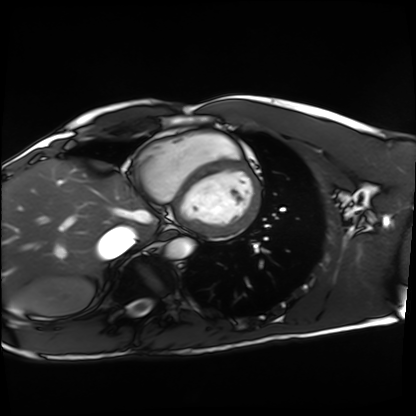
Summary: Cardiac MRI. Subject group: healthy volunteer.